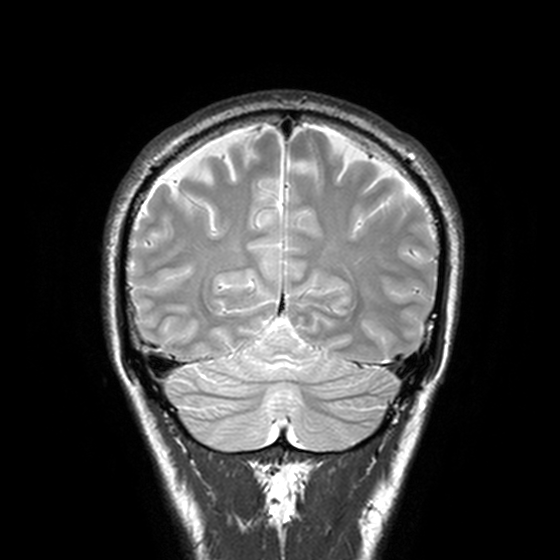
  modality:
    type: brain MRI
    field_strength: 3T
  series: T2-weighted turbo spin echo, 3 mm
  study_topic: ring-enhancing brain masses